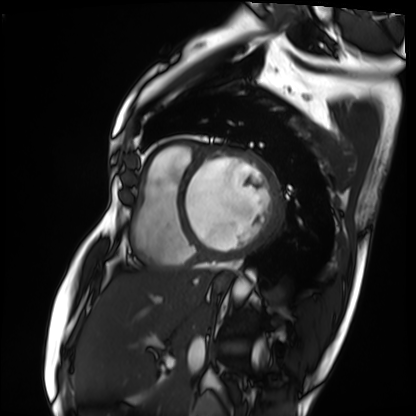
<case>
<modality>cardiac MRI</modality>
<cohort>patient</cohort>
</case>